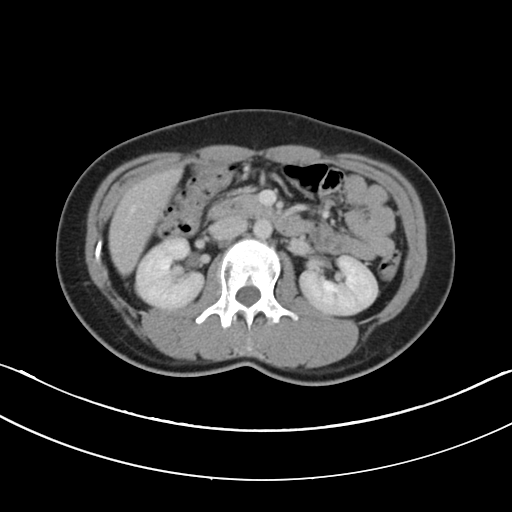
{
  "modality": {
    "type": "multiphase abdominal CT",
    "region": "liver",
    "phase": "portal venous"
  },
  "patient": {
    "sex": "female",
    "age": 29
  }
}